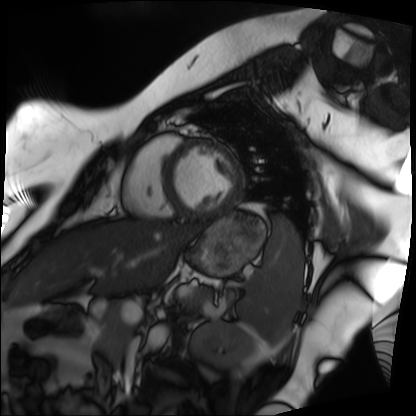
modality: cardiac MRI
cohort: patient